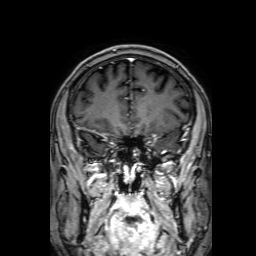
3 Tesla brain MRI. Series: 3D T1-weighted with SENSE. Study: ring-enhancing brain masses.